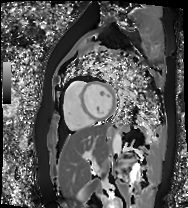
Cardiac MR image of the myocardium.
Subject cohort: healthy volunteer.